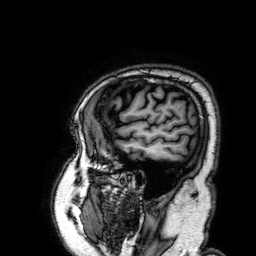
modality=3 Tesla brain MRI; series=3D T1-weighted; study=ring-enhancing brain masses.